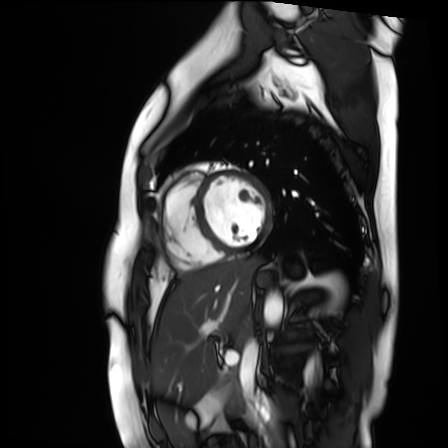
modality: cardiac MR image of the myocardium
cohort: healthy volunteer